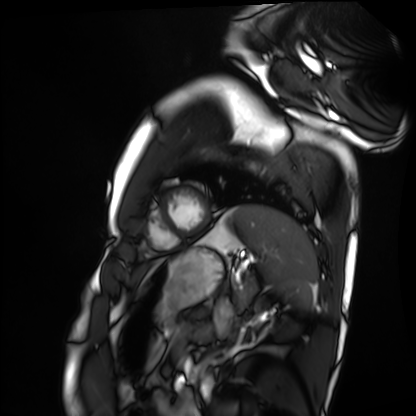
Case:
– modality — cardiac MRI
– subject group — healthy volunteer